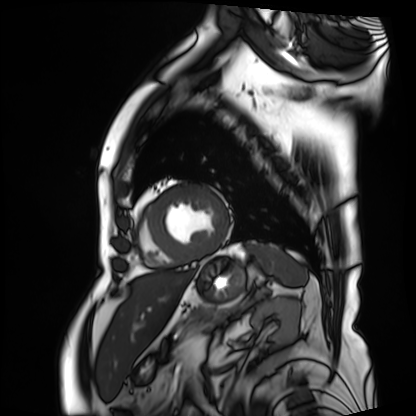
Cardiac MRI.
Subject group: patient.